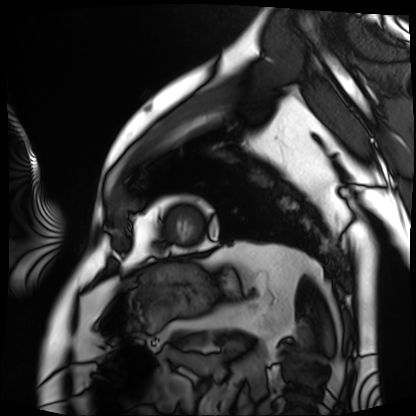
Cardiac MRI. Subject group: patient.